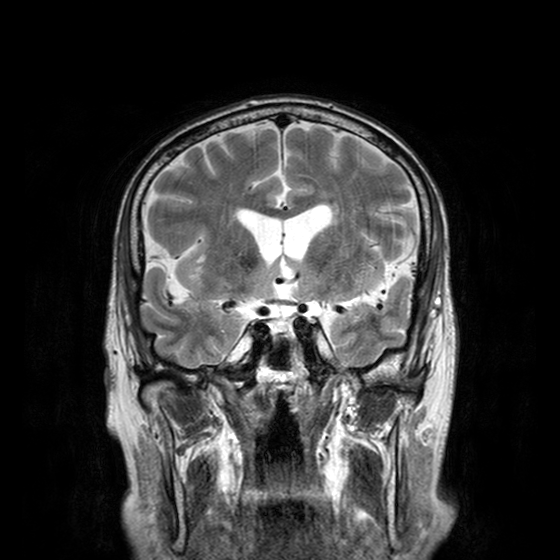
Q: What kind of scan is this?
A: 3 Tesla brain MRI.
Q: Series?
A: T2-weighted turbo spin echo with CLEAR.
Study: ring-enhancing brain masses.